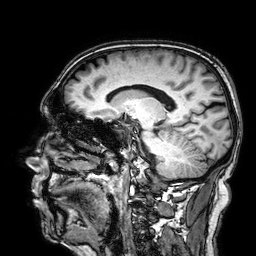
Summary:
3 Tesla brain MRI. Study: ring-enhancing brain masses.